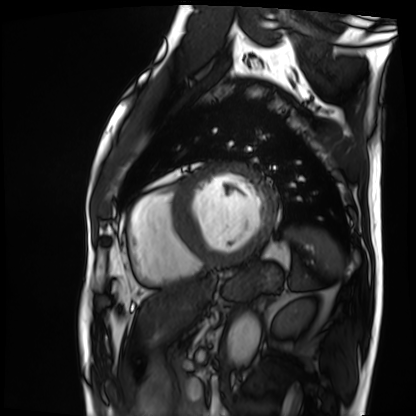
modality: cardiac MRI | subject group: patient.